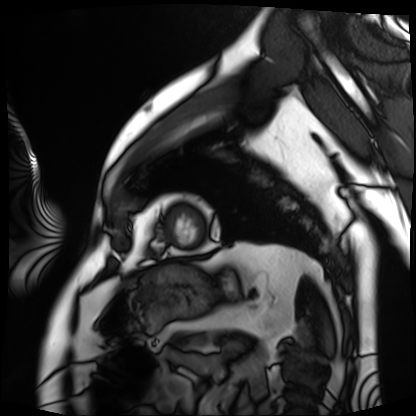
modality: cardiac MRI
subject group: patient